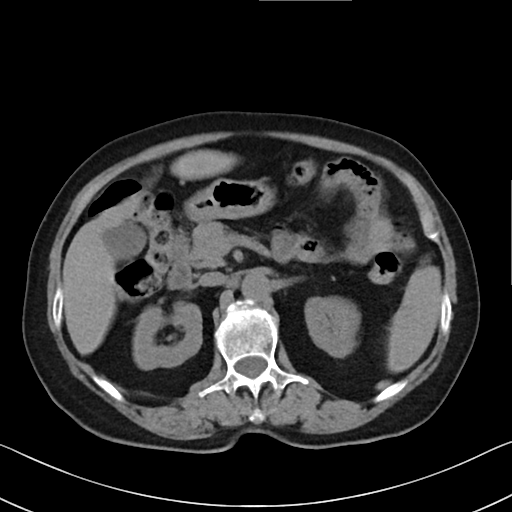
Multiphase abdominal CT, liver, non-contrast phase. Patient: female, age 71. History: cirrhosis, viral hepatitis.